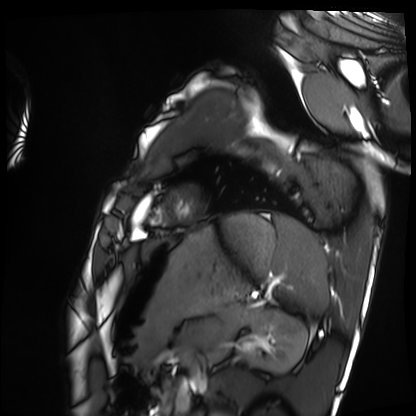
{"modality": "cardiac MRI", "cohort": "healthy volunteer"}